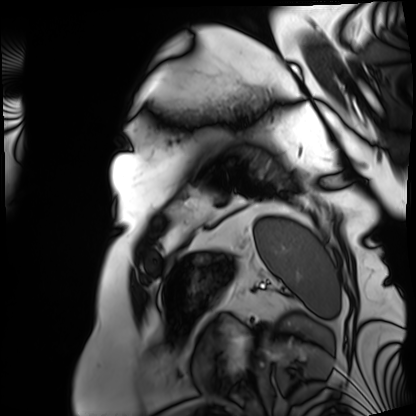
Clinical context:
Cardiac MRI. Subject group: patient.